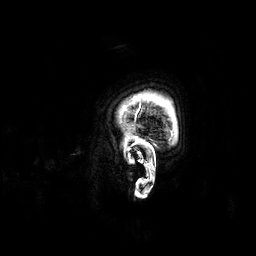
Summary:
3 Tesla brain MRI. Series: 3D T1-weighted. Study: ring-enhancing brain masses.